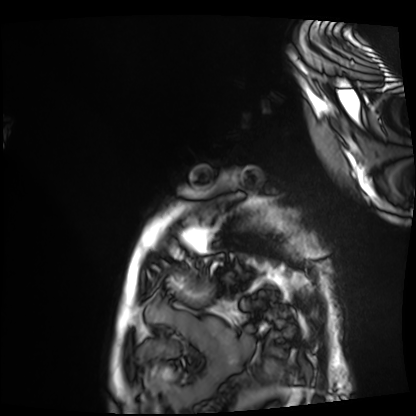
Cardiac MRI.
Subject group: patient.